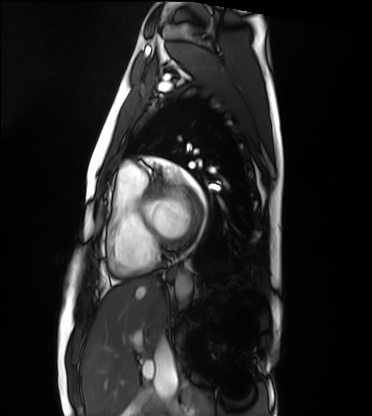
Summary:
Cardiac MRI. Subject group: healthy volunteer.